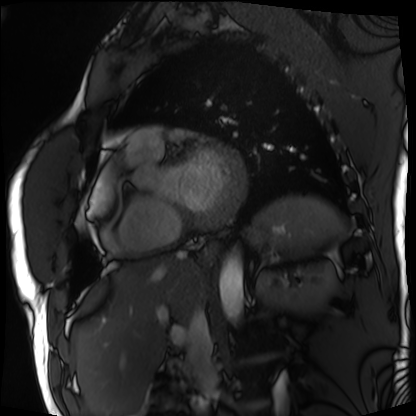
Q: What kind of scan is this?
A: Cardiac MRI.
Subject group: patient.